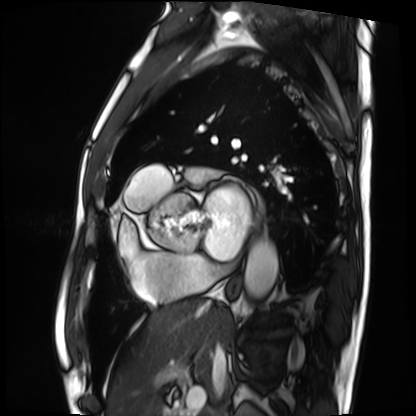
Summary:
Cardiac MRI. Subject group: patient.